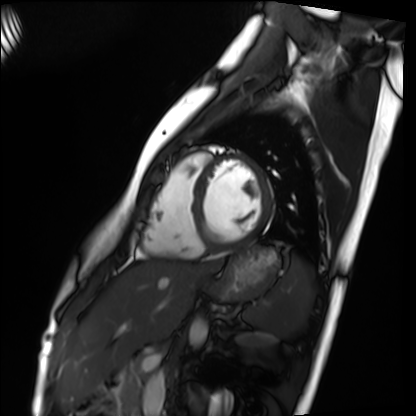
Cardiac MRI. Subject group: healthy volunteer.